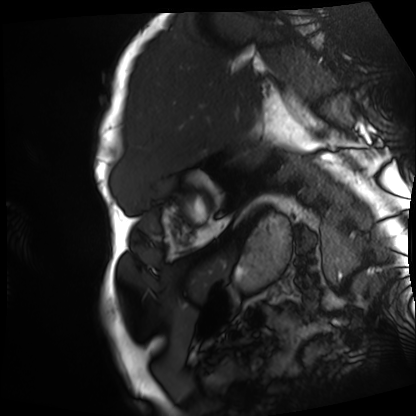
Cardiac MRI. Subject group: patient.